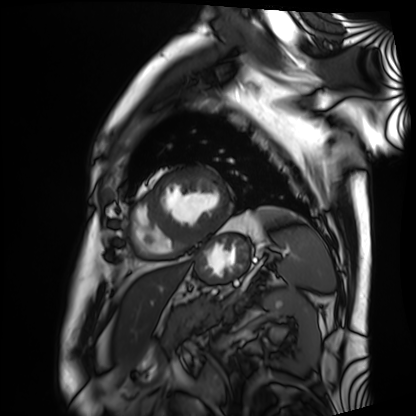
Cardiac MRI.
Subject group: patient.